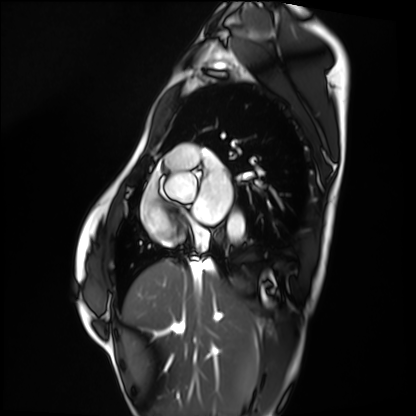
Case summary:
Cardiac MRI. Subject group: healthy volunteer.